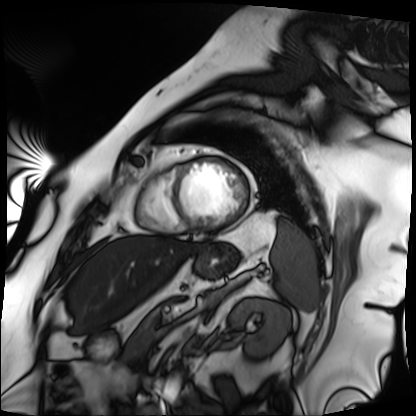
Cardiac MRI. Subject group: patient.